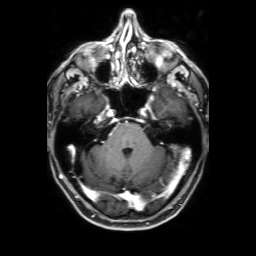
modality:
  type: brain MRI
  field_strength: 3T
series: 3D T1-weighted with SENSE
study_topic: ring-enhancing brain masses